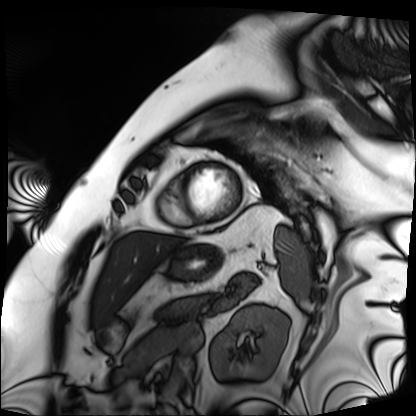
modality: cardiac MRI
subject group: patient